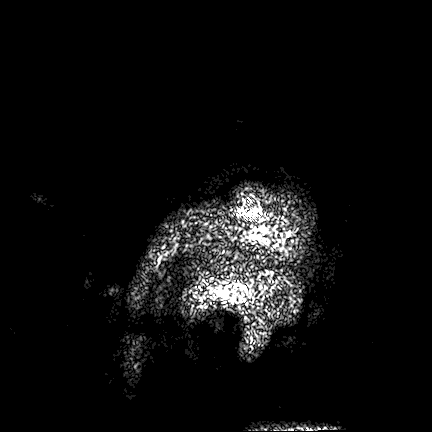
Summary:
3 Tesla brain MRI. Series: FLAIR VISTA. Study: ring-enhancing brain masses.